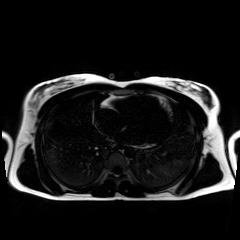
Chemical-shift-encoded cardiac MRI.